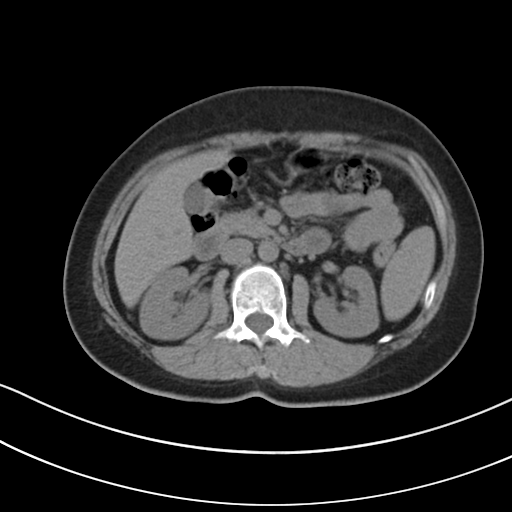
| field | value |
|---|---|
| modality | multiphase abdominal CT, liver, non-contrast phase |
| patient | female, age 47 |